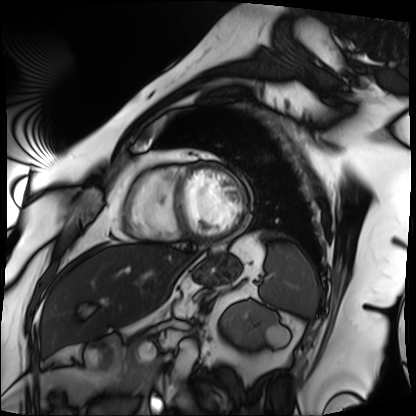
Case summary: Cardiac MRI. Subject group: patient.